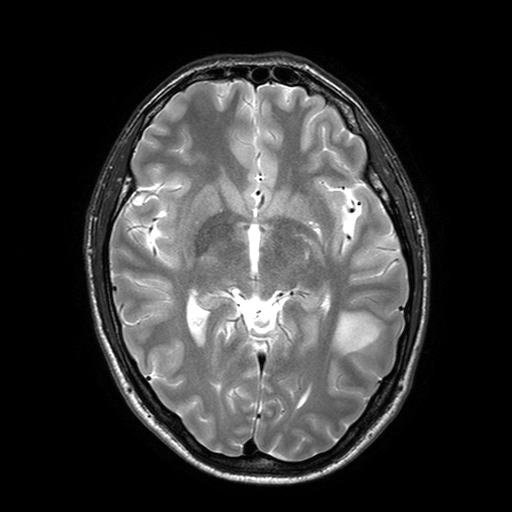
<scan>
  <modality>
    <type>brain MRI</type>
    <field_strength>3T</field_strength>
  </modality>
  <series>T2-weighted turbo spin echo with SENSE</series>
  <study_topic>ring-enhancing brain masses</study_topic>
</scan>